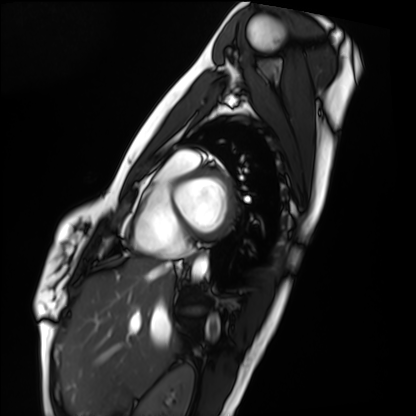
{
  "modality": "cardiac MRI",
  "cohort": "healthy volunteer"
}